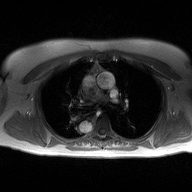
2D phase-contrast cine MRI of the ascending aorta, high-resolution GRAPPA acquisition.